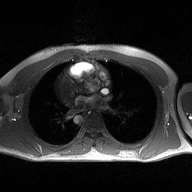
Case summary:
2D phase-contrast cine MRI of the ascending aorta, high-resolution GRAPPA acquisition.